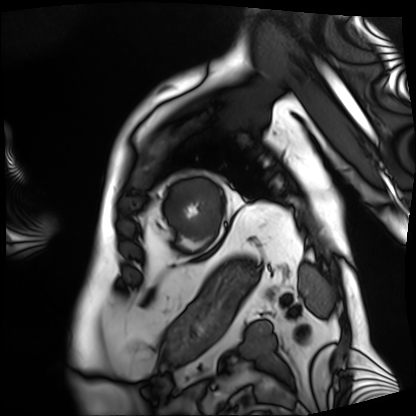
<case>
  <modality>cardiac MRI</modality>
  <cohort>patient</cohort>
</case>